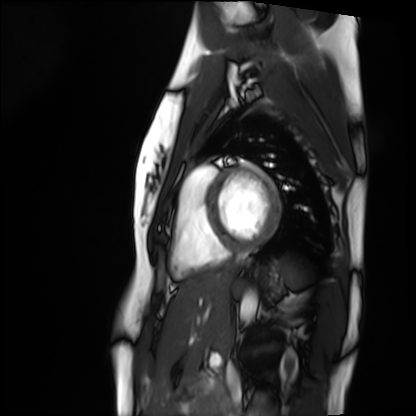
modality: cardiac MRI
cohort: healthy volunteer